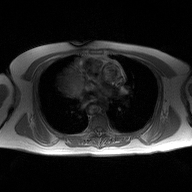
modality: 2D phase-contrast cine MRI of the ascending aorta